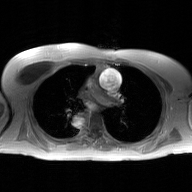
{"modality": {"type": "2D phase-contrast cine MRI", "region": "ascending aorta", "reconstruction": "GAN super-resolution reconstruction"}}